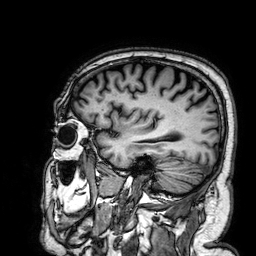
modality=3 Tesla brain MRI | series=3D T1-weighted | study=ring-enhancing brain masses.